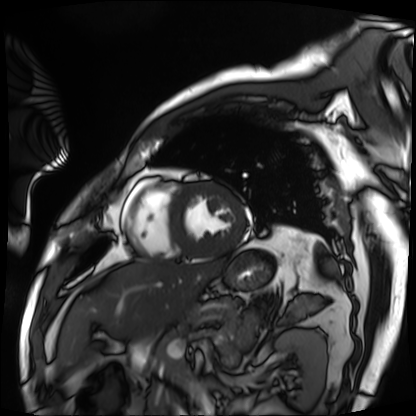
Cardiac MRI. Subject group: patient.